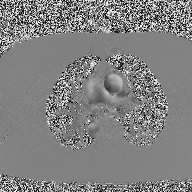
Summary:
2D phase-contrast cine MRI of the ascending aorta, high-resolution GRAPPA acquisition.